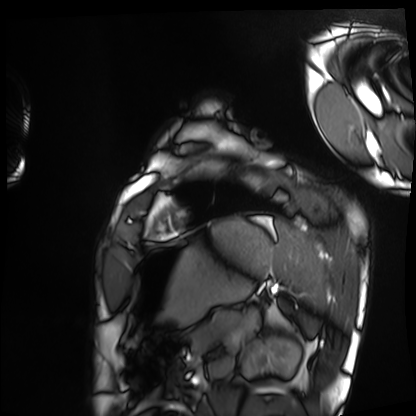
Cardiac MRI. Subject group: healthy volunteer.